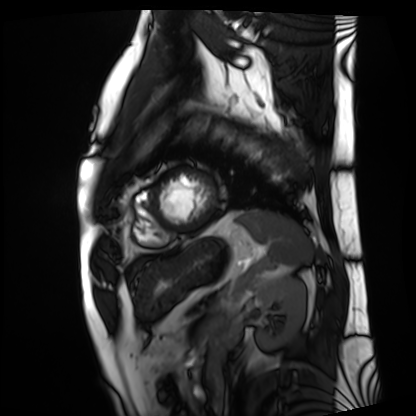
Cardiac MRI. Subject group: patient.